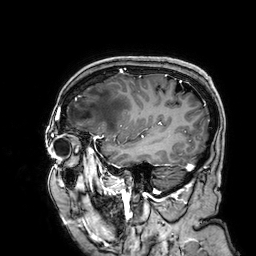
{
  "modality": {
    "type": "brain MRI",
    "field_strength": "3T"
  },
  "series": "3D T1-weighted",
  "study_topic": "ring-enhancing brain masses"
}